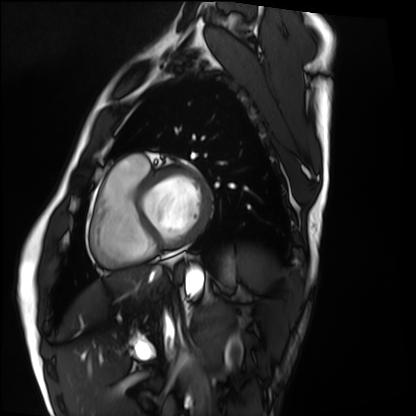
modality: cardiac MRI, subject group: healthy volunteer.